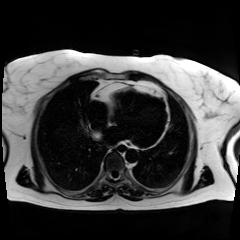
{
  "modality": "chemical-shift-encoded cardiac MRI"
}